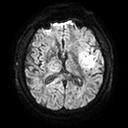
3 Tesla brain MRI.
Series: diffusion tensor imaging (medium iso).
Study: ring-enhancing brain masses.